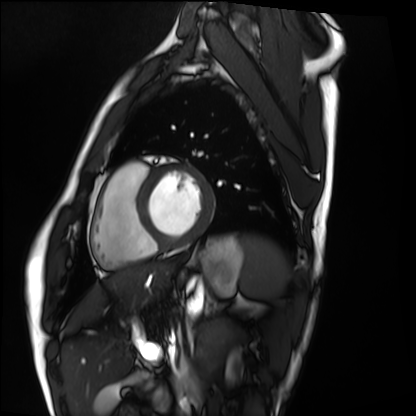
Summary: Cardiac MRI. Subject group: healthy volunteer.